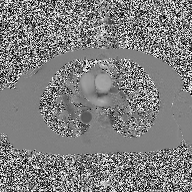
Q: What kind of scan is this?
A: 2D phase-contrast cine MRI of the ascending aorta.